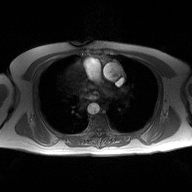
Summary:
2D phase-contrast cine MRI of the ascending aorta, high-resolution GRAPPA acquisition.